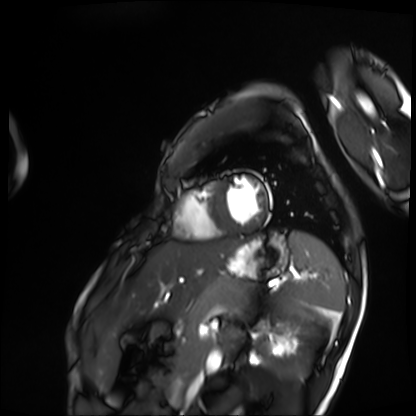
{
  "modality": "cardiac MRI",
  "cohort": "patient"
}